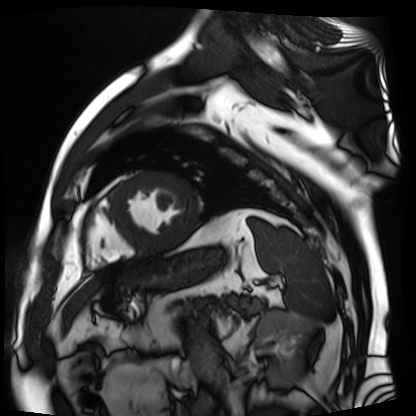
Cardiac MR image of the myocardium. Subject cohort: cardiac patient.